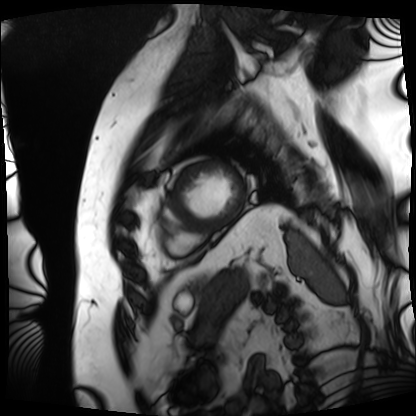
Cardiac MRI. Subject group: patient.